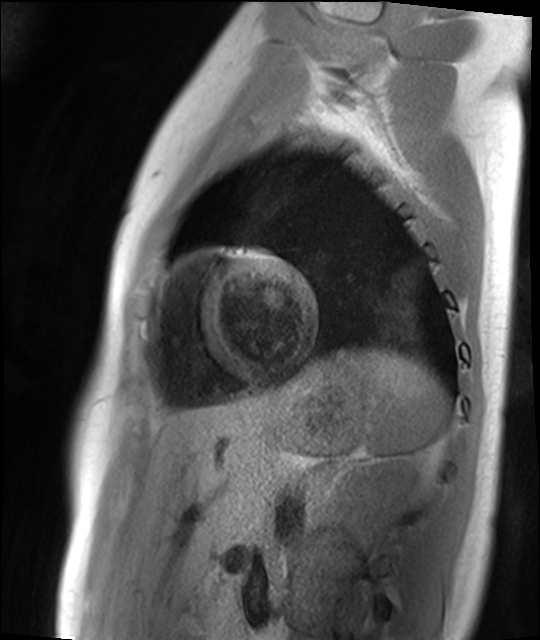
- modality — cardiac MR image of the myocardium
- subject cohort — healthy volunteer